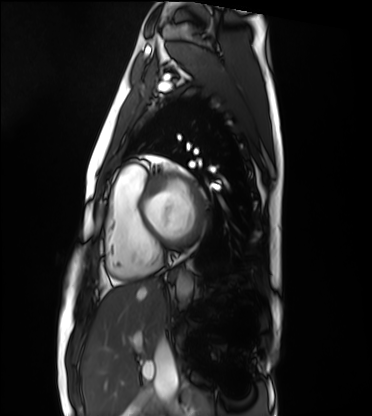
Q: What kind of scan is this?
A: Cardiac MRI.
Subject group: healthy volunteer.